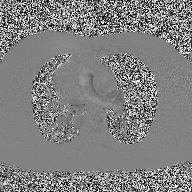
Clinical context:
2D phase-contrast cine MRI of the ascending aorta, high-resolution GRAPPA acquisition.